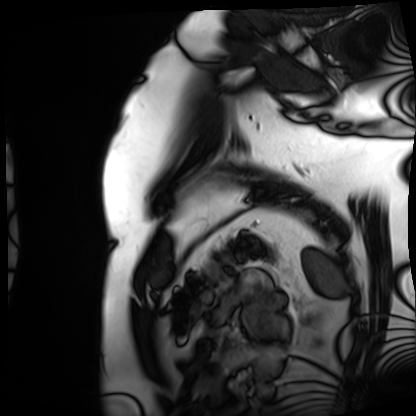
| field | value |
|---|---|
| modality | cardiac MRI |
| subject group | patient |